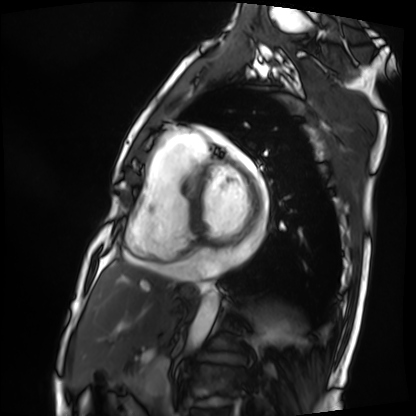
Summary:
Cardiac MRI. Subject group: patient.